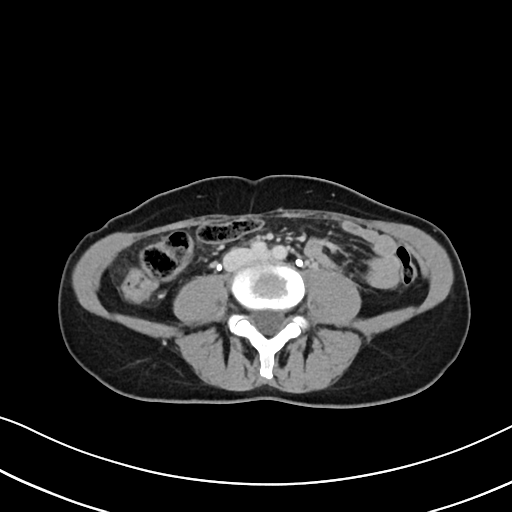
Case summary: Multiphase abdominal CT, liver, delayed phase. Patient: female, age 48. History: prior chemotherapy.